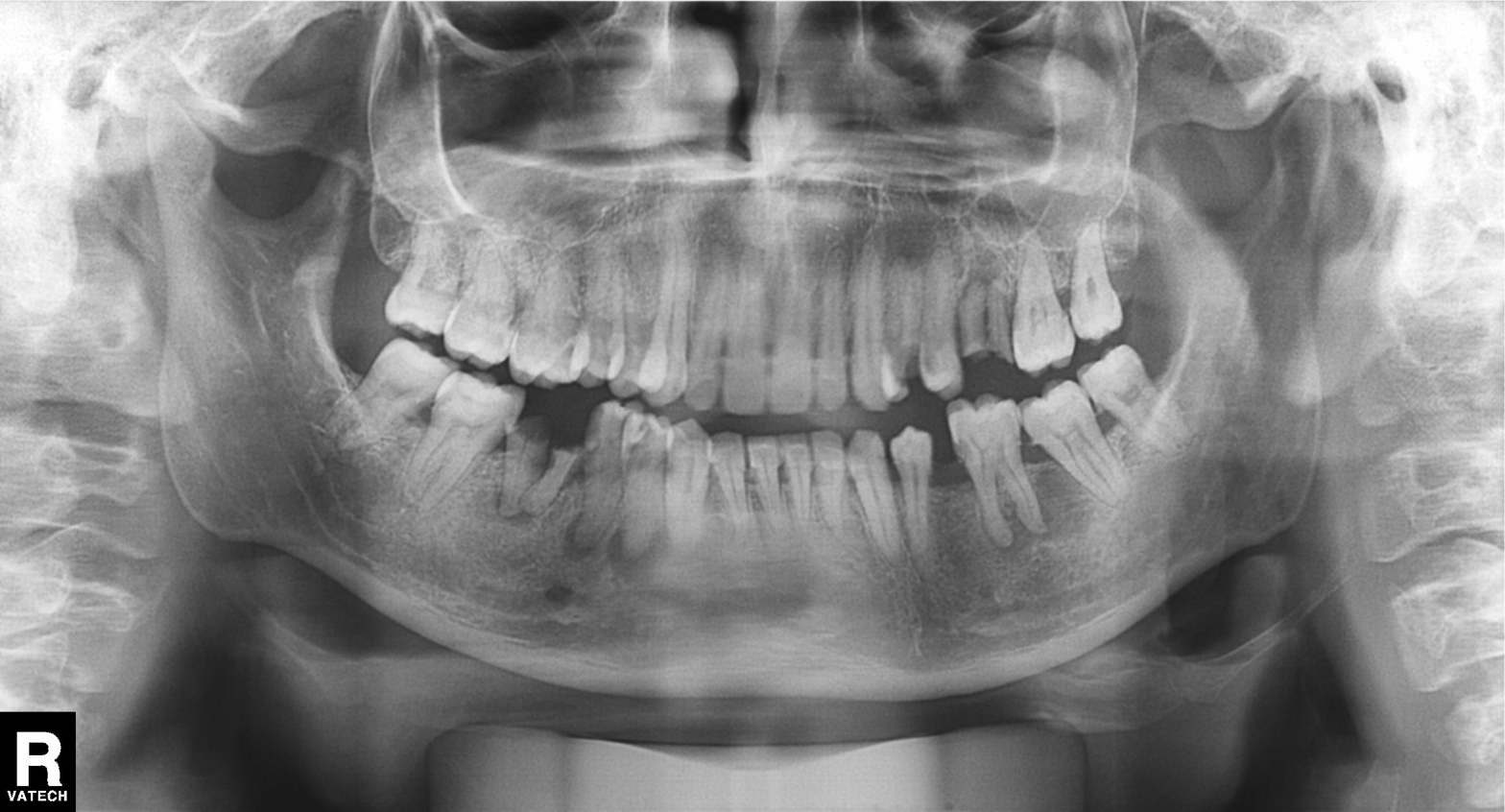
Panoramic dental radiograph (orthopantomogram).
Finding: alveolar bone loss.